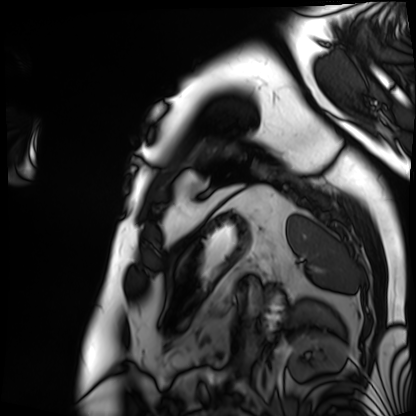
Summary: Cardiac MRI. Subject group: patient.